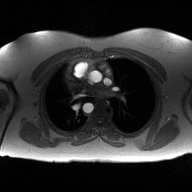
2D phase-contrast cine MRI of the ascending aorta, high-resolution GRAPPA acquisition.